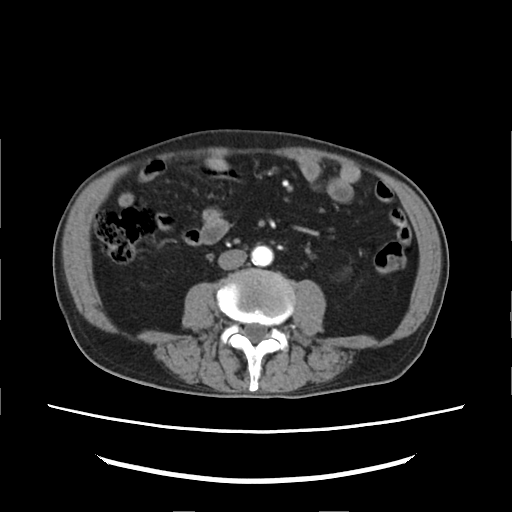
Multiphase abdominal CT, liver, arterial phase.
Patient: male, age 82.
History: viral hepatitis.